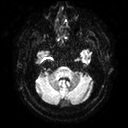
3 Tesla brain MRI. Study: ring-enhancing brain masses.